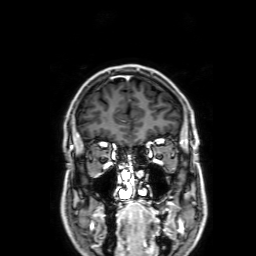
Q: What kind of scan is this?
A: 3 Tesla brain MRI.
Q: Series?
A: 3D T1-weighted with SENSE.
Study: ring-enhancing brain masses.